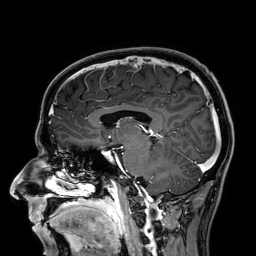
Q: What kind of scan is this?
A: 3 Tesla brain MRI.
Q: Series?
A: 3D T1-weighted.
Study: ring-enhancing brain masses.